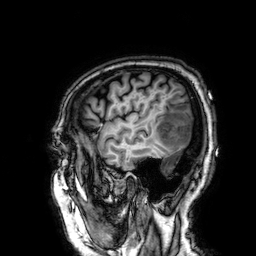
Q: What kind of scan is this?
A: 3 Tesla brain MRI.
Q: Series?
A: 3D T1-weighted.
Study: ring-enhancing brain masses.